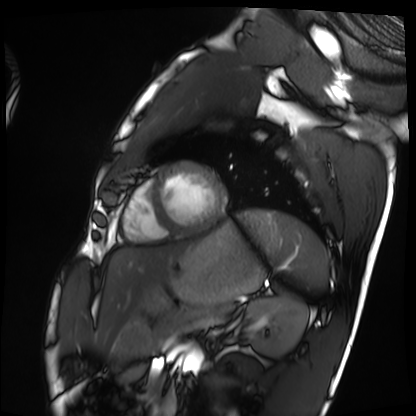
Cardiac MRI.
Subject group: healthy volunteer.